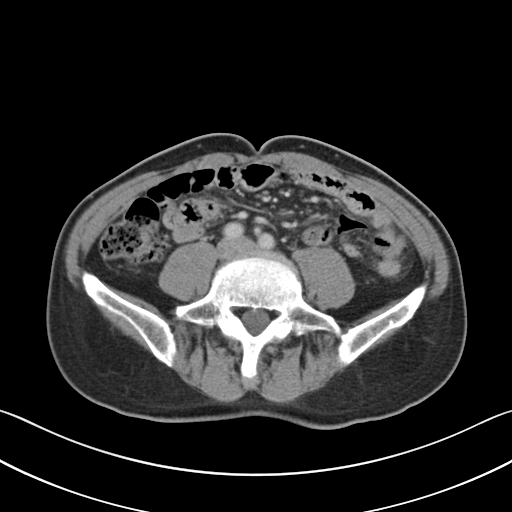
modality: multiphase abdominal CT, liver, portal venous phase